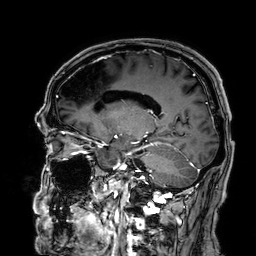
modality=3 Tesla brain MRI
series=3D T1-weighted
study=ring-enhancing brain masses